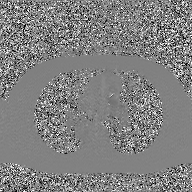
<record>
  <modality>
    <type>2D phase-contrast cine MRI</type>
    <region>ascending aorta</region>
    <reconstruction>GAN super-resolution reconstruction</reconstruction>
  </modality>
</record>